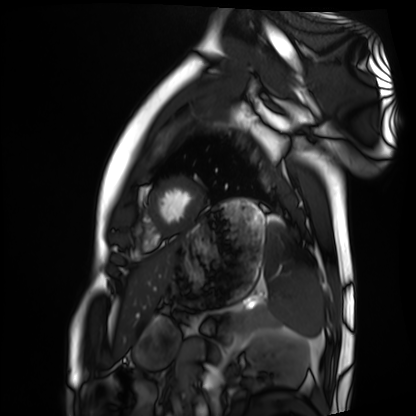
modality: cardiac MRI | subject group: healthy volunteer.